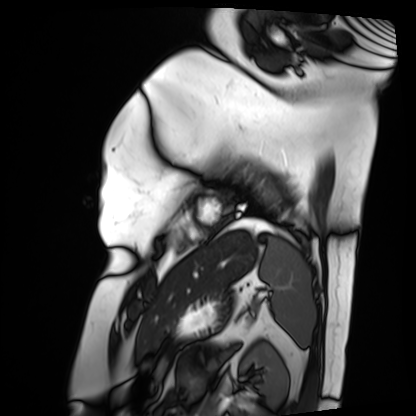
modality: cardiac MRI
subject group: patient